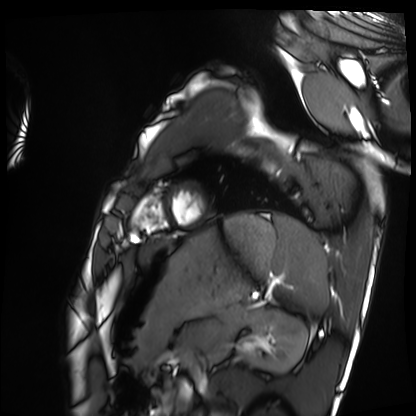
Cardiac MRI. Subject group: healthy volunteer.